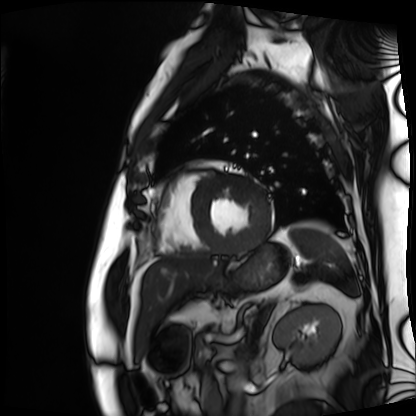
<scan>
<modality>cardiac MRI</modality>
<cohort>patient</cohort>
</scan>